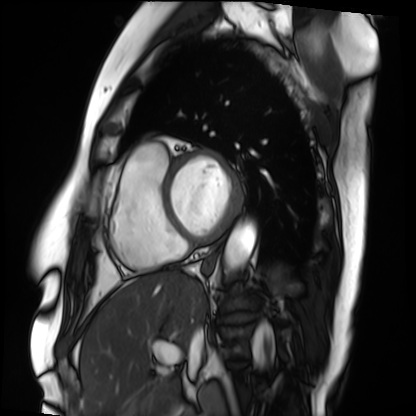
Cardiac MRI.
Subject group: patient.